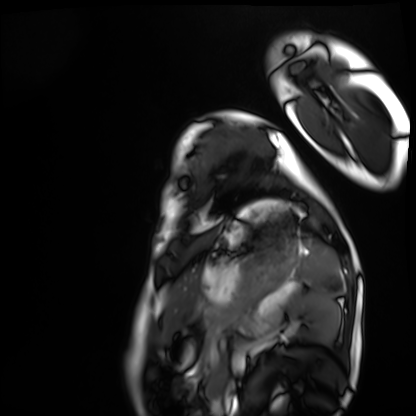
<case>
<modality>cardiac MRI</modality>
<cohort>healthy volunteer</cohort>
</case>